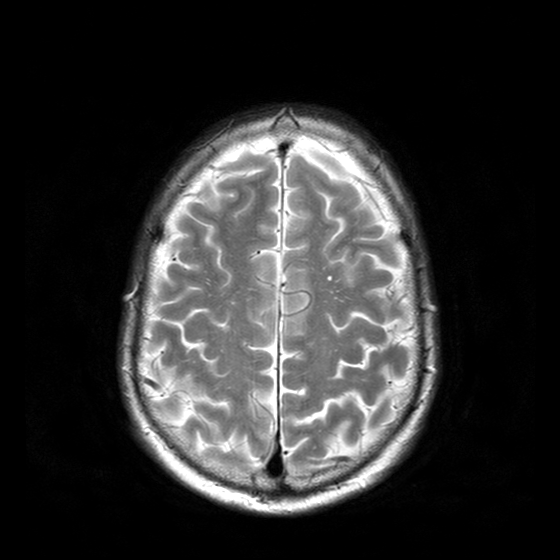
3 Tesla brain MRI.
Study: ring-enhancing brain masses.